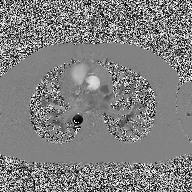
2D phase-contrast cine MRI of the ascending aorta, high-resolution GRAPPA acquisition.